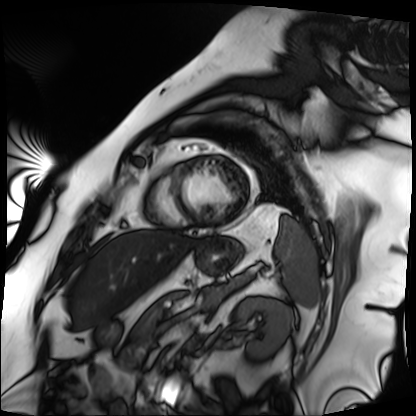
modality: cardiac MRI
subject group: patient